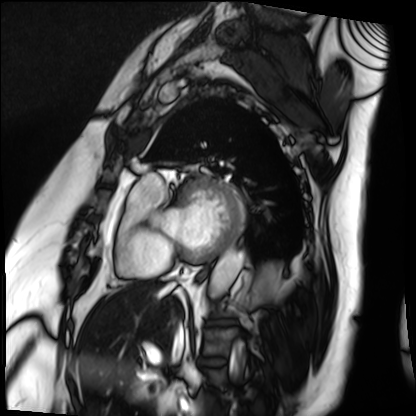
modality — cardiac MRI | subject group — patient.